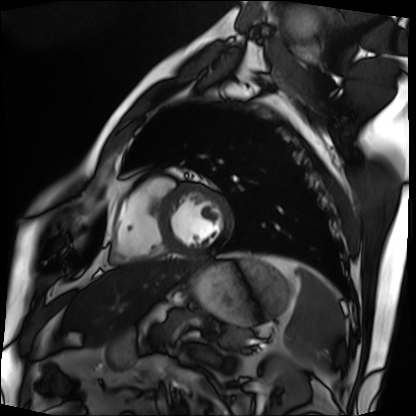
Cardiac MRI. Subject group: patient.